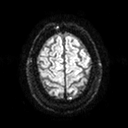
Summary:
3 Tesla brain MRI. Series: diffusion tensor imaging (medium iso). Study: ring-enhancing brain masses.